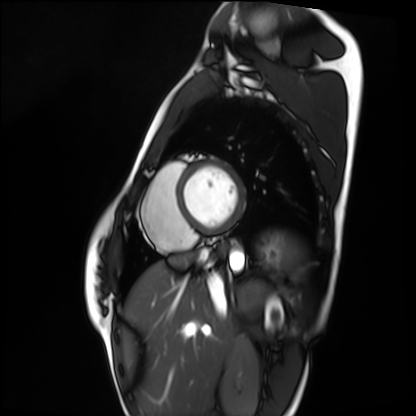
Clinical context:
Cardiac MRI. Subject group: healthy volunteer.